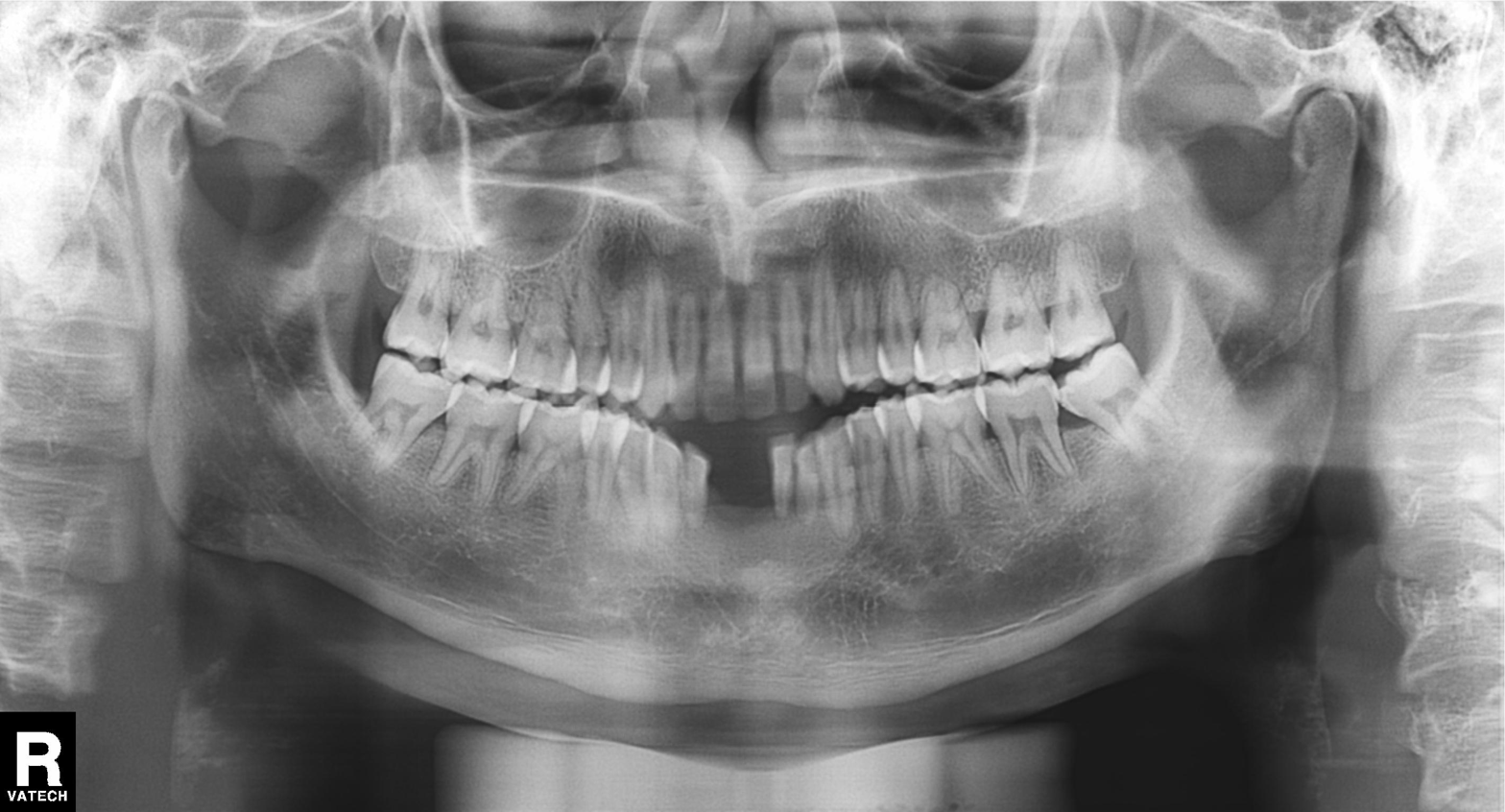
Findings:
* modality · panoramic dental radiograph (orthopantomogram)
* finding · dental caries (cavities)